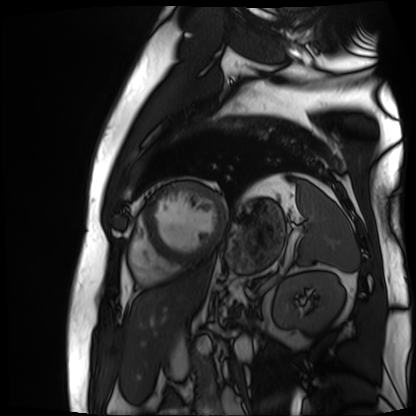
{
  "modality": "cardiac MR image of the myocardium",
  "cohort": "cardiac patient"
}